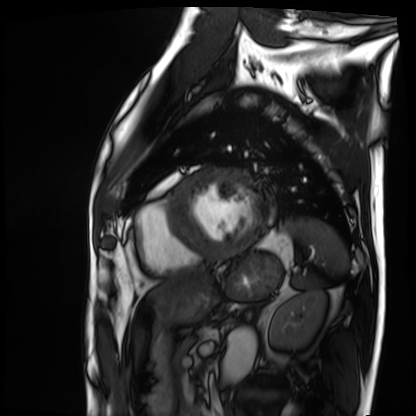
Case summary:
Cardiac MRI. Subject group: patient.